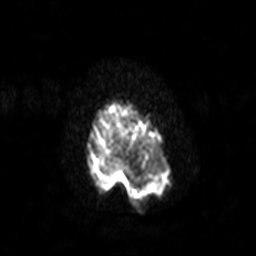
Case:
– modality: 3 Tesla brain MRI
– series: diffusion-weighted imaging with SENSE (WIP)
– study: ring-enhancing brain masses